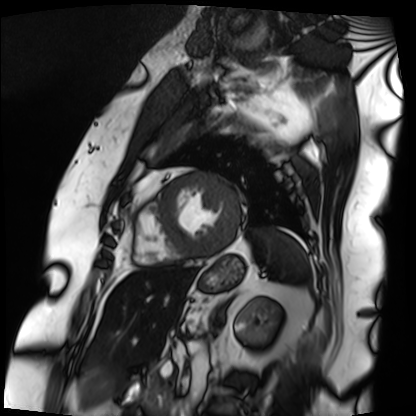
Cardiac MRI. Subject group: patient.